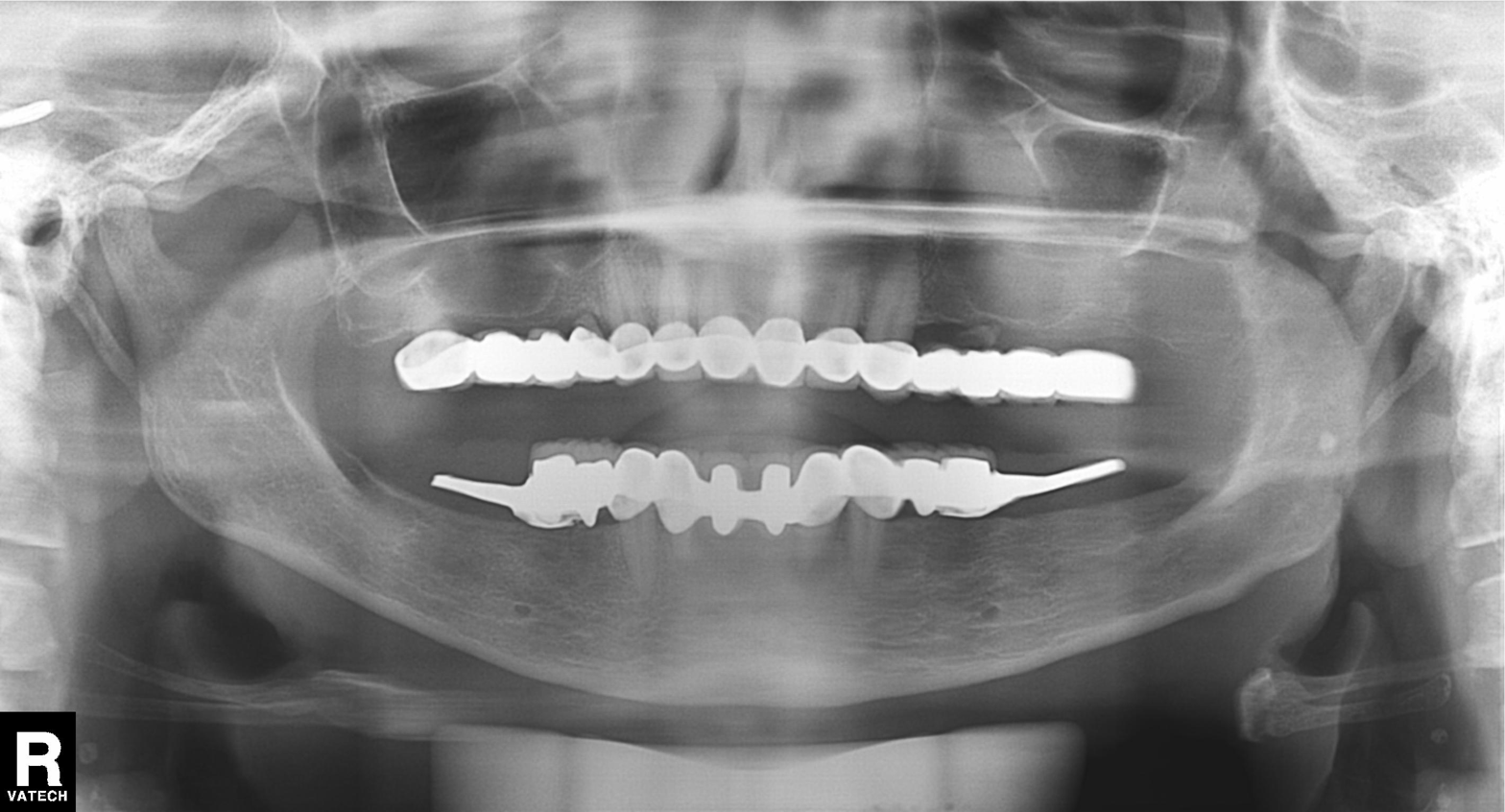
modality: panoramic dental radiograph (orthopantomogram), finding: dental caries (cavities).